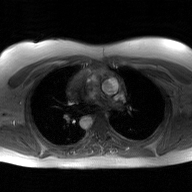
modality:
  type: 2D phase-contrast cine MRI
  region: ascending aorta
  reconstruction: GAN super-resolution reconstruction